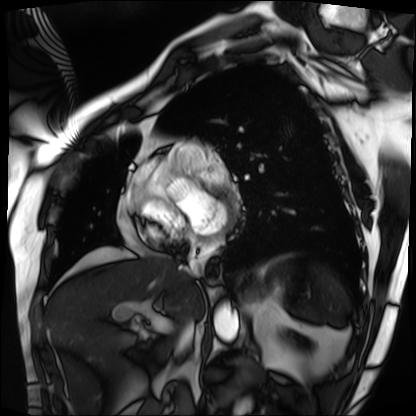
| field | value |
|---|---|
| modality | cardiac MRI |
| subject group | patient |